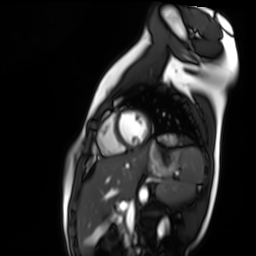
Cardiac MR image of the myocardium.
Subject cohort: healthy volunteer.